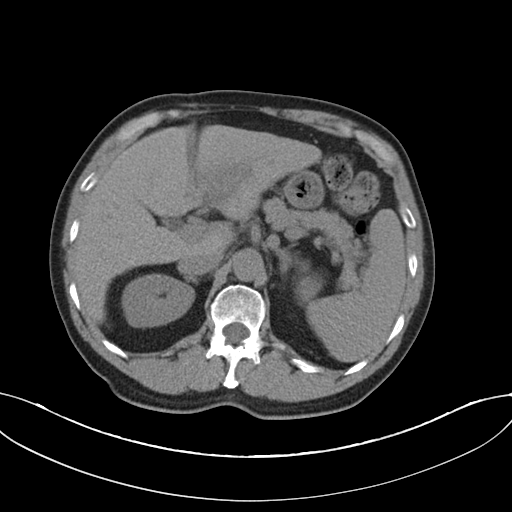
– modality: multiphase abdominal CT, liver, non-contrast phase
– patient: male, age 75